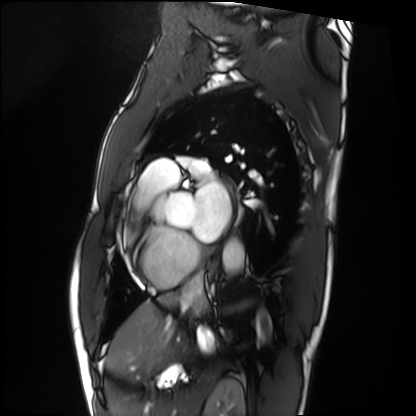
Summary: Cardiac MRI. Subject group: patient.